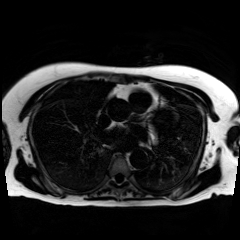
Chemical-shift-encoded cardiac MRI.